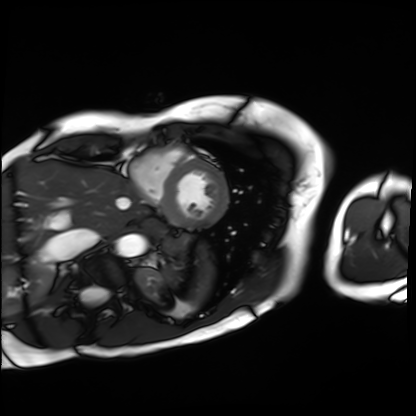
Cardiac MRI.
Subject group: patient.